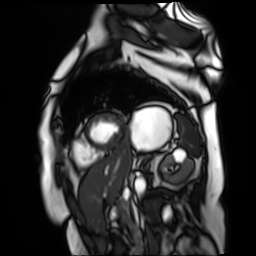
Clinical context:
Cardiac MR image of the myocardium. Subject cohort: cardiac patient.